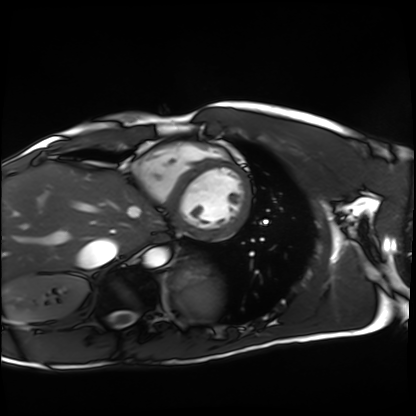
Cardiac MRI.
Subject group: healthy volunteer.